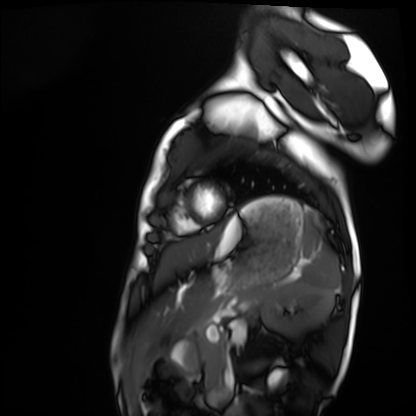
modality = cardiac MRI, subject group = healthy volunteer.